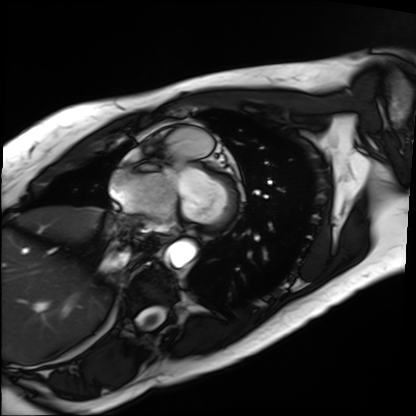
Summary:
Cardiac MRI. Subject group: patient.